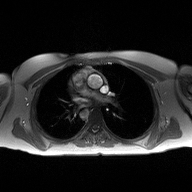
2D phase-contrast cine MRI of the ascending aorta, high-resolution GRAPPA acquisition.